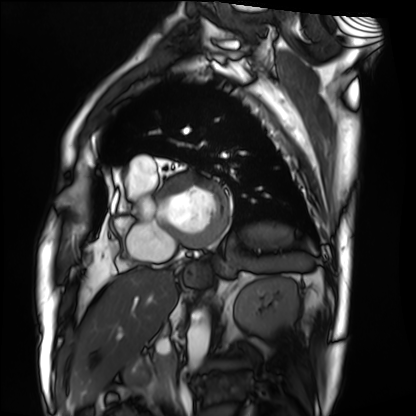
modality — cardiac MRI
subject group — patient